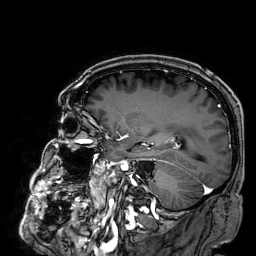
Clinical context:
3 Tesla brain MRI. Series: 3D T1-weighted. Study: ring-enhancing brain masses.